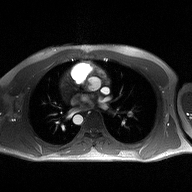
| field | value |
|---|---|
| modality | 2D phase-contrast cine MRI of the ascending aorta |